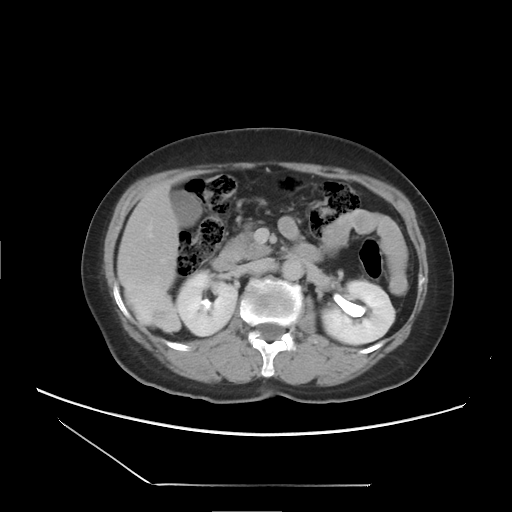
Multiphase abdominal CT, liver, delayed phase.
Patient: female, age 60.